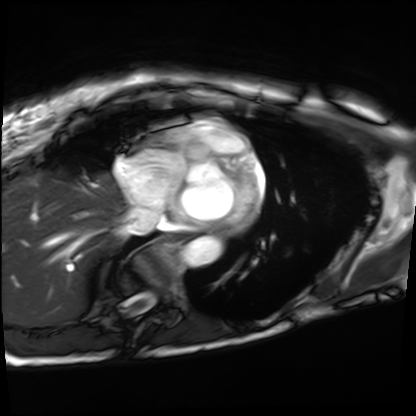
Summary: Cardiac MRI. Subject group: patient.